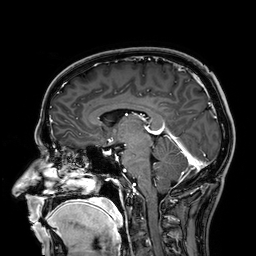
<case>
  <modality>
    <type>brain MRI</type>
    <field_strength>3T</field_strength>
  </modality>
  <study_topic>ring-enhancing brain masses</study_topic>
</case>